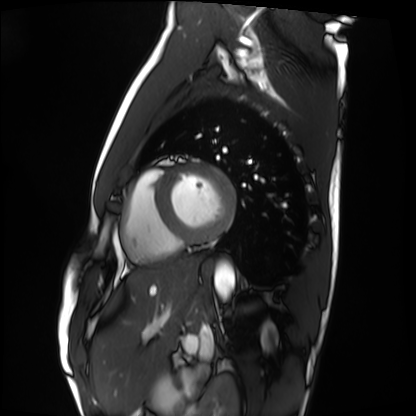
modality = cardiac MRI | subject group = healthy volunteer.